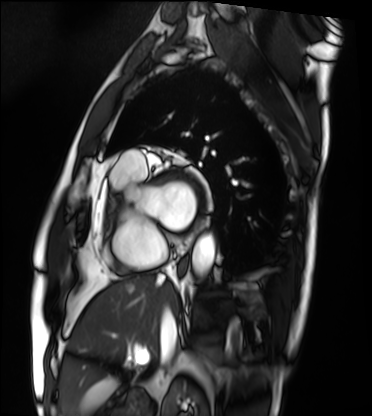
Cardiac MRI. Subject group: patient.